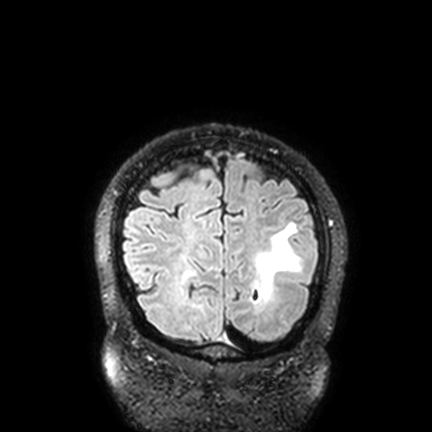
{
  "modality": {
    "type": "brain MRI",
    "field_strength": "3T"
  },
  "series": "FLAIR VISTA with SENSE",
  "study_topic": "ring-enhancing brain masses"
}